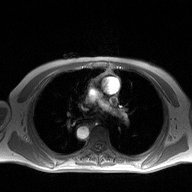
Case summary:
2D phase-contrast cine MRI of the ascending aorta, high-resolution GRAPPA acquisition.